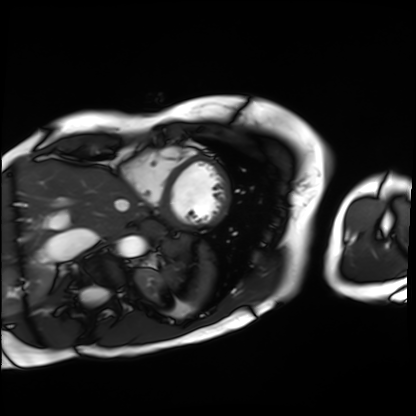
Summary:
Cardiac MRI. Subject group: patient.